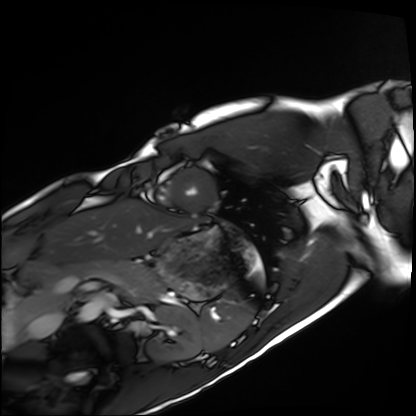
Cardiac MRI.
Subject group: healthy volunteer.